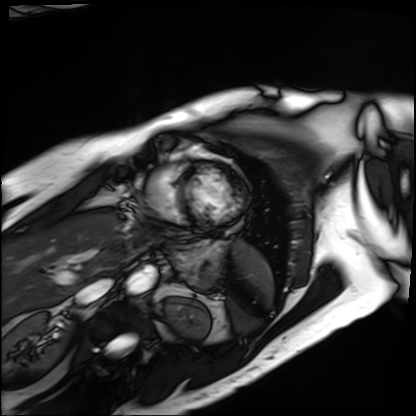
Summary: Cardiac MRI. Subject group: patient.